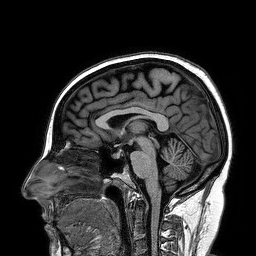
Summary: 3 Tesla brain MRI. Series: 3D T1-weighted turbo field echo. Study: ring-enhancing brain masses.